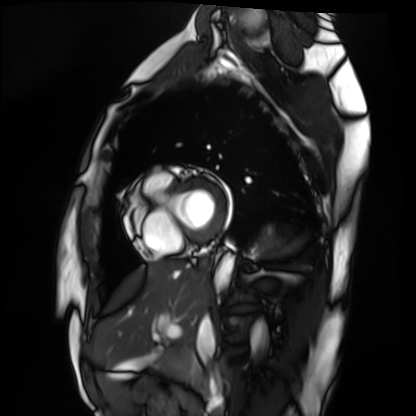
– modality — cardiac MRI
– subject group — healthy volunteer